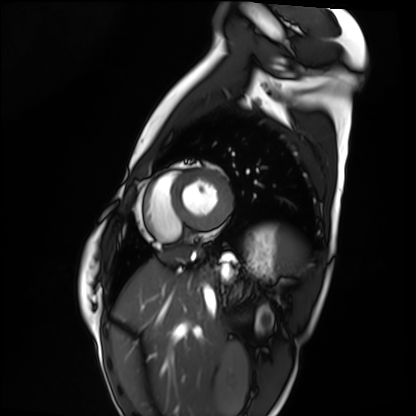
Cardiac MRI. Subject group: healthy volunteer.